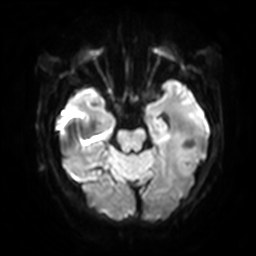
3 Tesla brain MRI.
Series: diffusion-weighted imaging with SENSE (WIP).
Study: ring-enhancing brain masses.